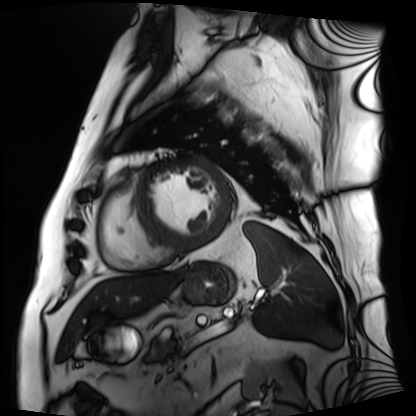
Cardiac MRI. Subject group: patient.